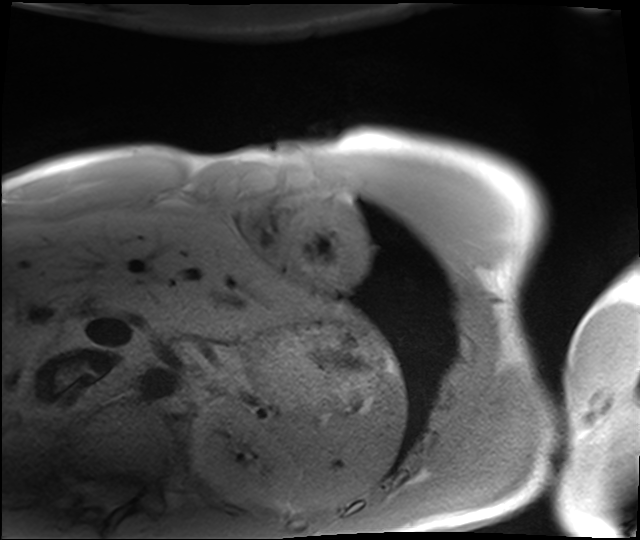
Q: What kind of scan is this?
A: Cardiac MRI.
Subject group: healthy volunteer.